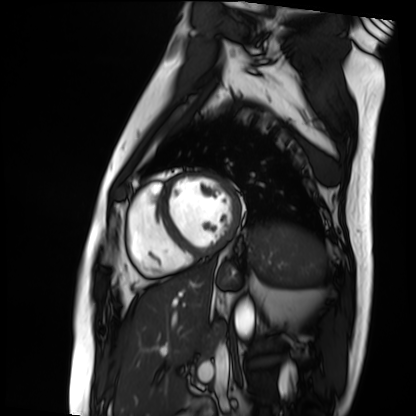
Cardiac MRI. Subject group: patient.